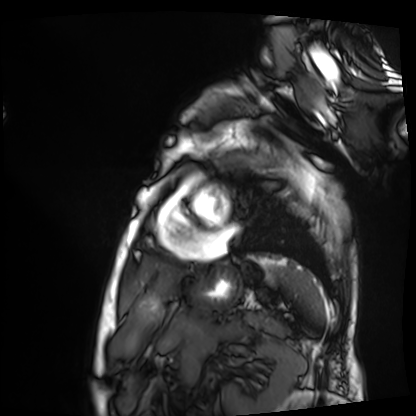
• modality: cardiac MRI
• subject group: patient